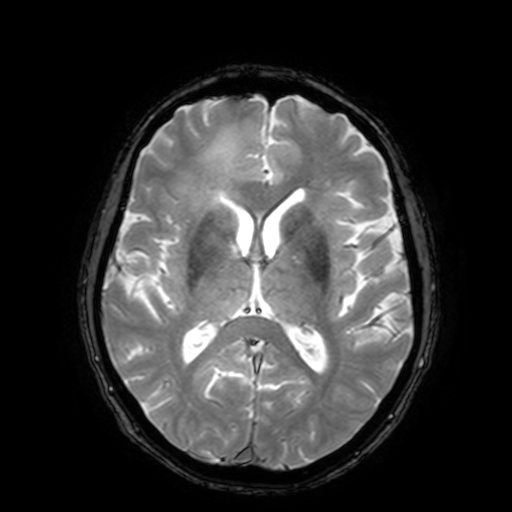
Case summary: 3 Tesla brain MRI. Series: T2-weighted fast field echo with SENSE. Study: ring-enhancing brain masses.